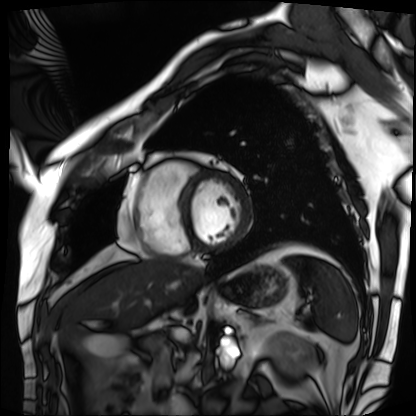
Summary:
Cardiac MRI. Subject group: patient.